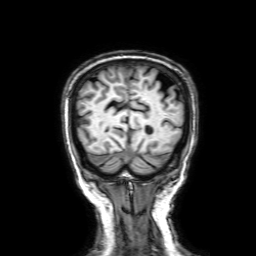
modality: 3 Tesla brain MRI; series: 3D T1-weighted with SENSE; study: ring-enhancing brain masses.